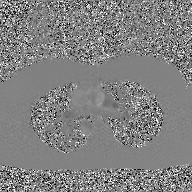
modality: 2D phase-contrast cine MRI of the ascending aorta, GAN super-resolution reconstruction